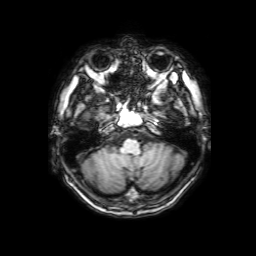
modality = 3 Tesla brain MRI; series = 3D T1-weighted with SENSE; study = ring-enhancing brain masses.